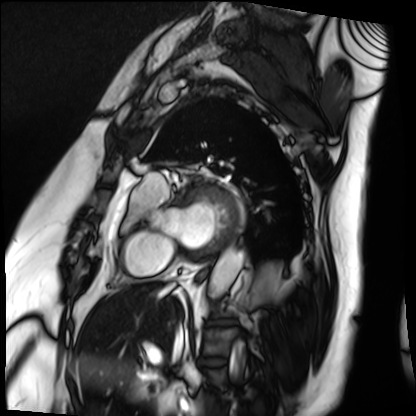
Summary:
Cardiac MRI. Subject group: patient.